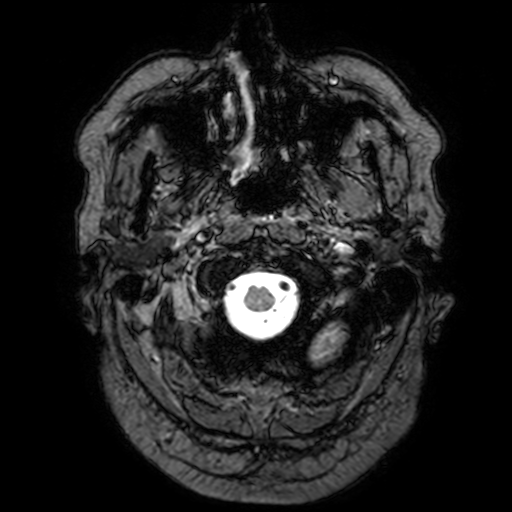
Case:
• modality · 3 Tesla brain MRI
• series · T2-weighted fast field echo with SENSE
• study · ring-enhancing brain masses